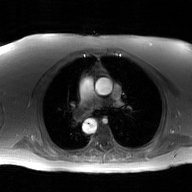
Summary:
2D phase-contrast cine MRI of the ascending aorta, GAN super-resolution reconstruction.